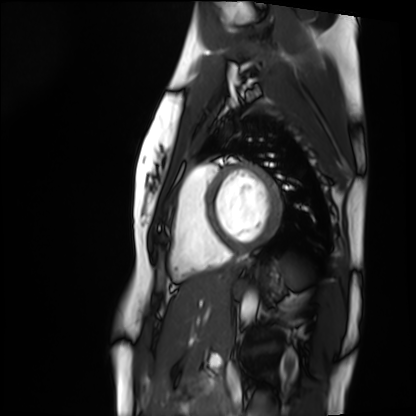
Q: What kind of scan is this?
A: Cardiac MRI.
Subject group: healthy volunteer.